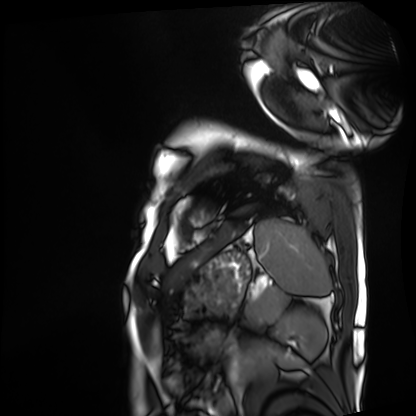
modality = cardiac MRI
subject group = patient